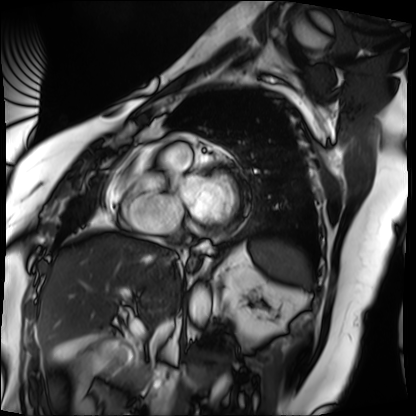
Clinical context: Cardiac MRI. Subject group: patient.